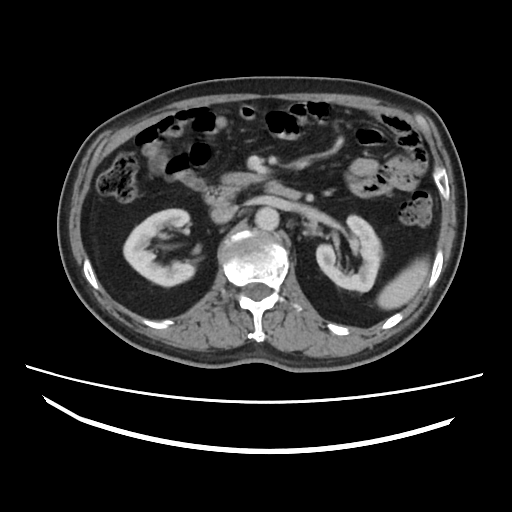
• modality · multiphase abdominal CT, liver, portal venous phase
• patient · male, age 61
• history · cirrhosis, viral hepatitis, prior chemotherapy